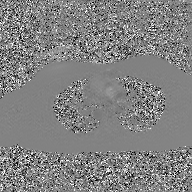
2D phase-contrast cine MRI of the ascending aorta, GAN super-resolution reconstruction.